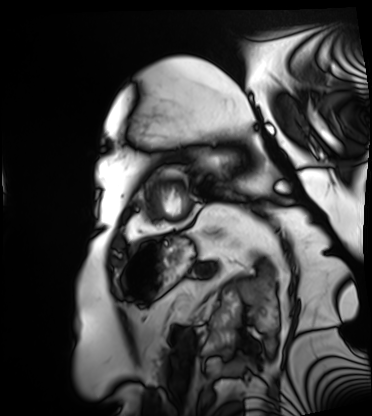
{"modality": "cardiac MRI", "cohort": "patient"}